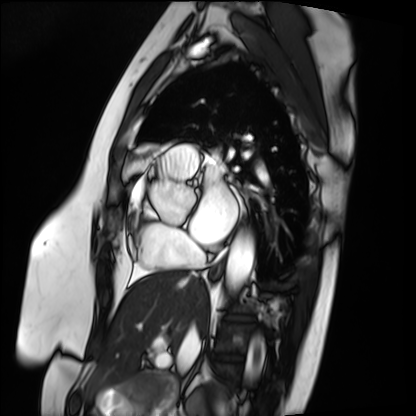
Cardiac MRI.
Subject group: patient.